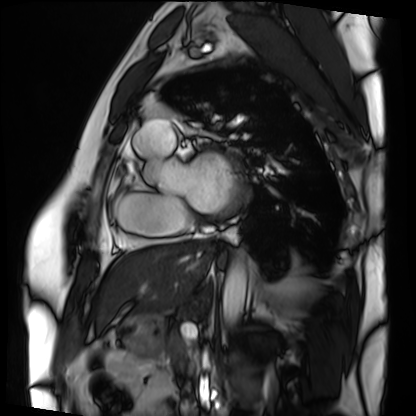
  modality: cardiac MRI
  cohort: patient